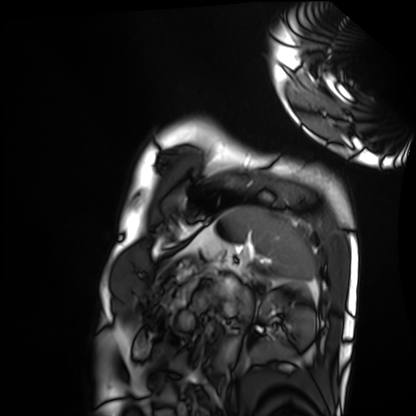
Cardiac MRI. Subject group: healthy volunteer.